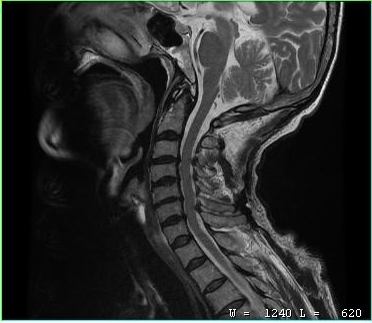
Case summary: MRI of the cervical spine. Study: cervical spondylosis.